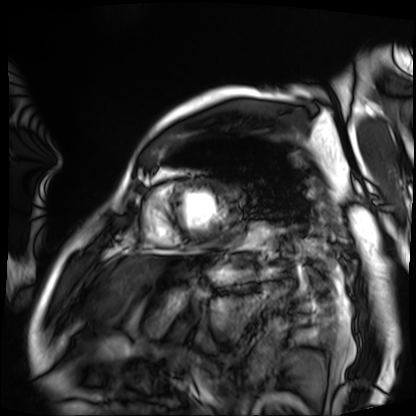
Summary: Cardiac MRI. Subject group: patient.